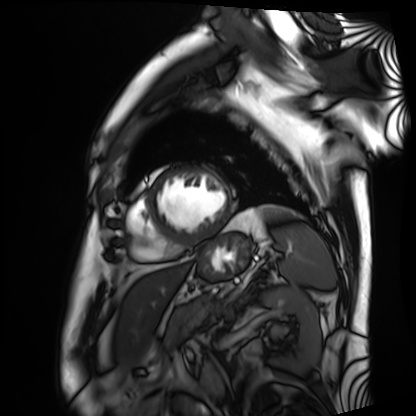
• modality — cardiac MRI
• subject group — patient